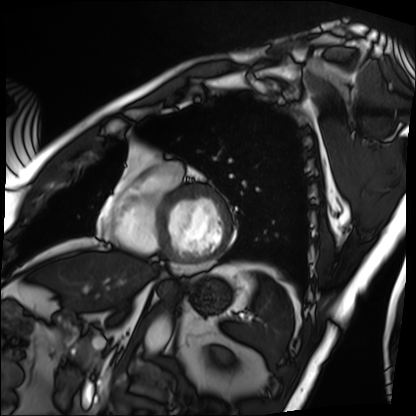
<scan>
<modality>cardiac MRI</modality>
<cohort>patient</cohort>
</scan>